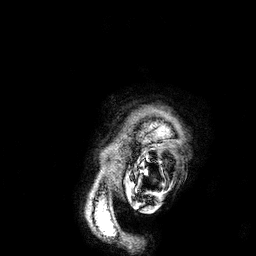
{"modality": {"type": "brain MRI", "field_strength": "3T"}, "series": "3D T1-weighted", "study_topic": "ring-enhancing brain masses"}